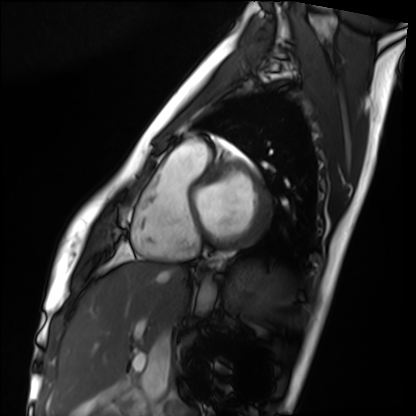
Cardiac MRI. Subject group: healthy volunteer.